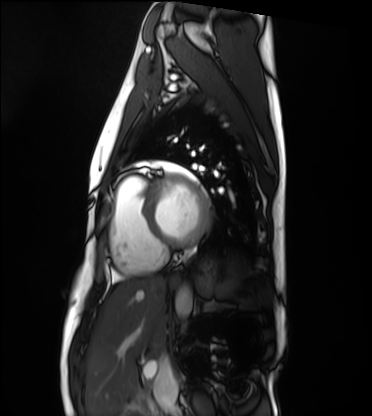
Clinical context:
Cardiac MRI. Subject group: healthy volunteer.